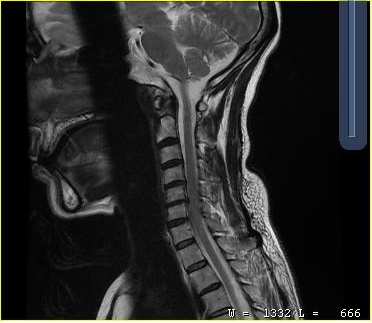
Q: What kind of scan is this?
A: MRI of the cervical spine.
Study: cervical spondylosis.